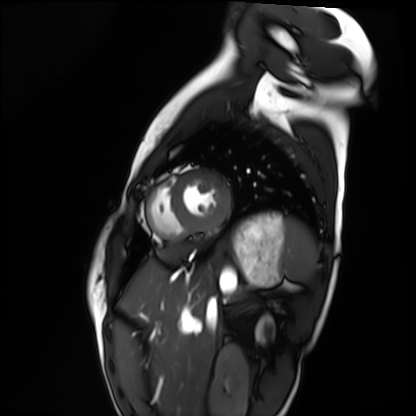
Cardiac MRI.
Subject group: healthy volunteer.